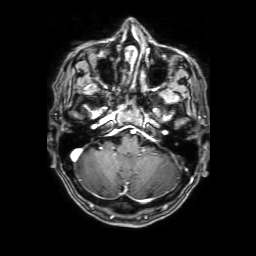
Q: What kind of scan is this?
A: 3 Tesla brain MRI.
Q: Series?
A: 3D T1-weighted with SENSE.
Study: ring-enhancing brain masses.